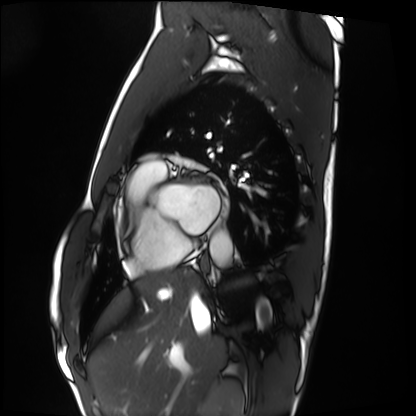
Summary:
Cardiac MRI. Subject group: healthy volunteer.